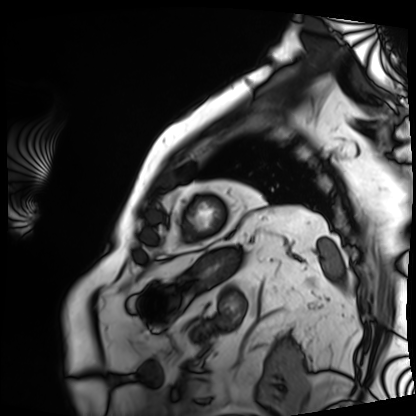
Cardiac MRI. Subject group: patient.